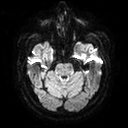
modality=3 Tesla brain MRI
study=ring-enhancing brain masses